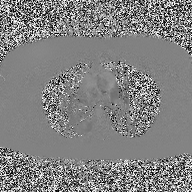
Q: What kind of scan is this?
A: 2D phase-contrast cine MRI of the ascending aorta.